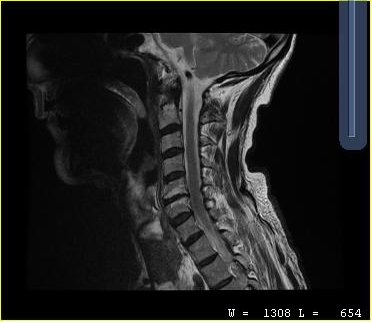
MRI of the cervical spine. Study: cervical spondylosis.